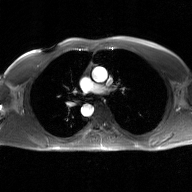
Q: What kind of scan is this?
A: 2D phase-contrast cine MRI of the ascending aorta, GAN super-resolution reconstruction.